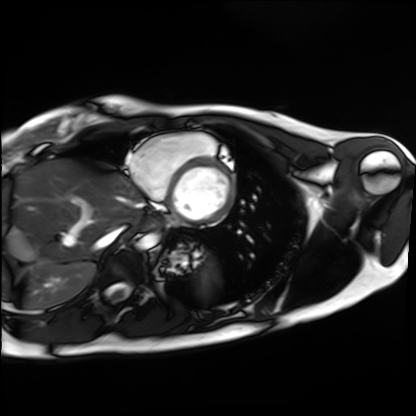
Q: What kind of scan is this?
A: Cardiac MRI.
Subject group: healthy volunteer.